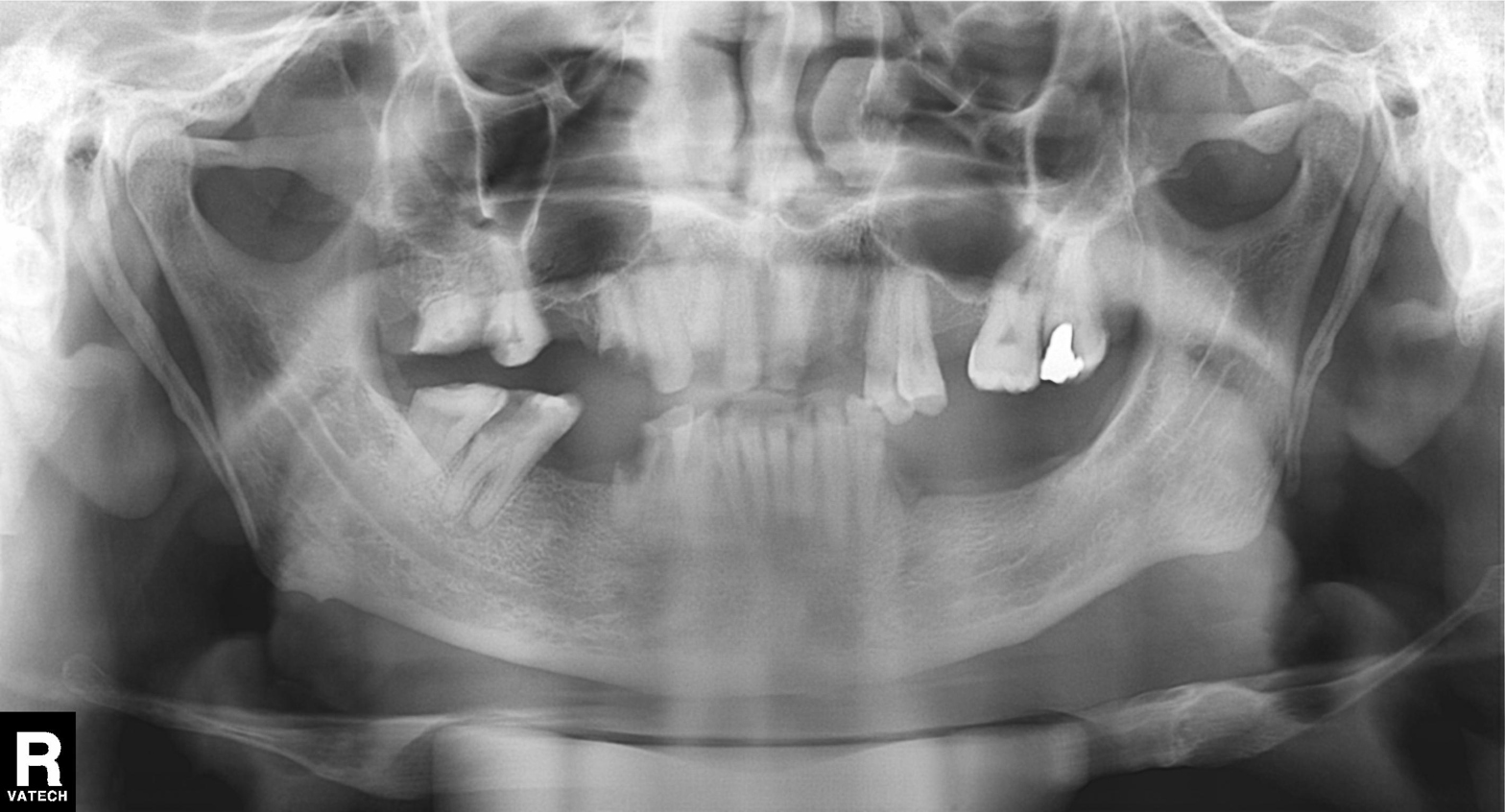
modality = panoramic dental radiograph (orthopantomogram), finding = dental caries (cavities).